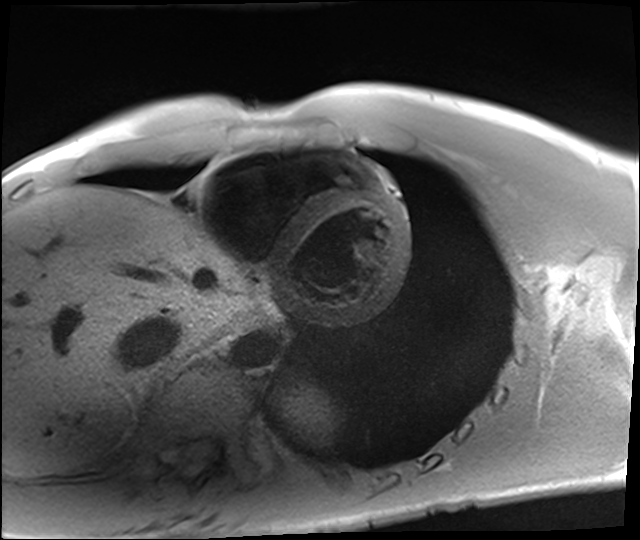
Clinical context:
Cardiac MRI. Subject group: healthy volunteer.